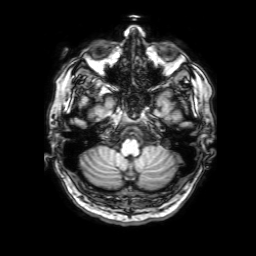
{"modality": {"type": "brain MRI", "field_strength": "3T"}, "series": "3D T1-weighted with SENSE", "study_topic": "ring-enhancing brain masses"}